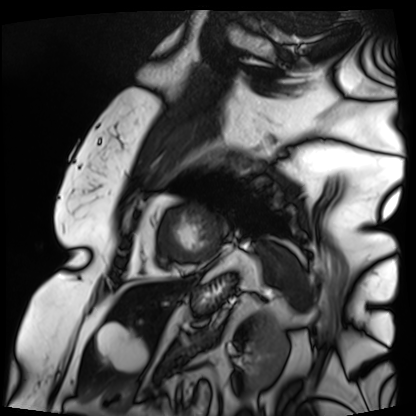
Cardiac MRI. Subject group: patient.